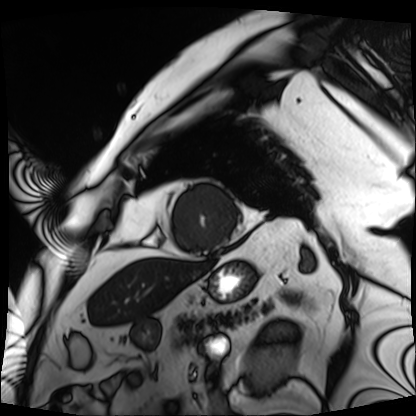
Clinical context:
Cardiac MRI. Subject group: patient.